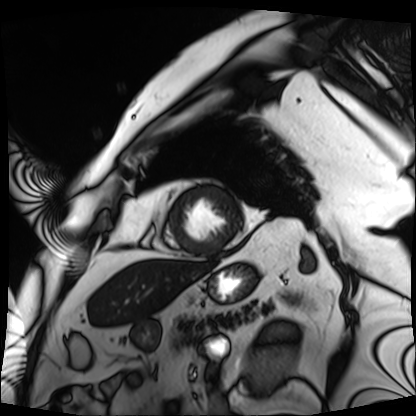
Cardiac MRI. Subject group: patient.